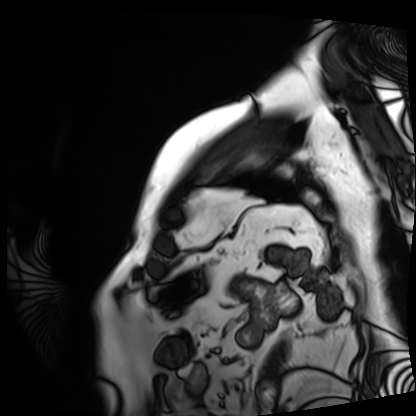
• modality — cardiac MRI
• subject group — patient